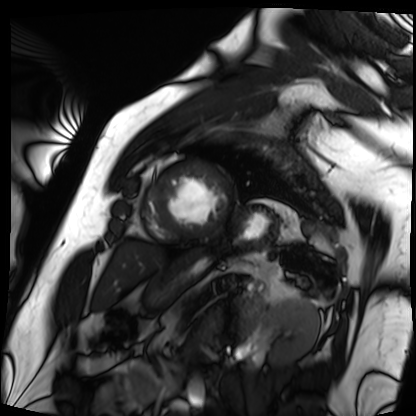
modality: cardiac MRI
cohort: patient